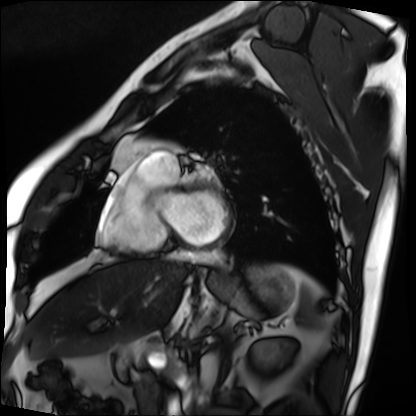
{
  "modality": "cardiac MRI",
  "cohort": "patient"
}